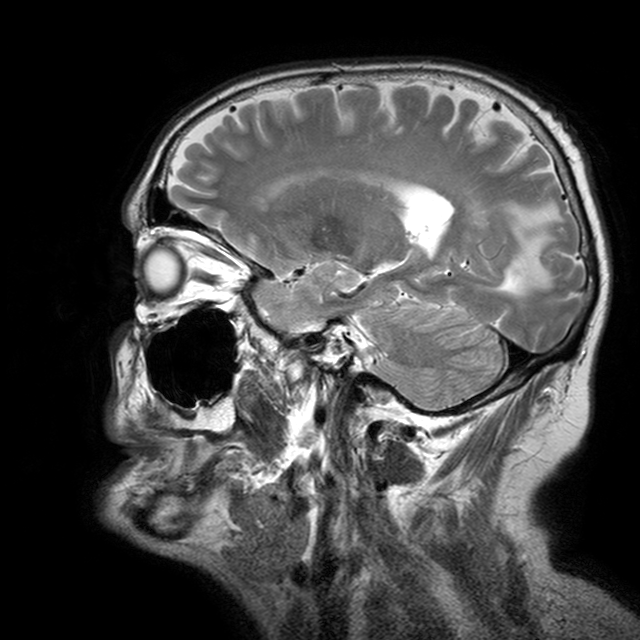
modality: 3 Tesla brain MRI | study: ring-enhancing brain masses.